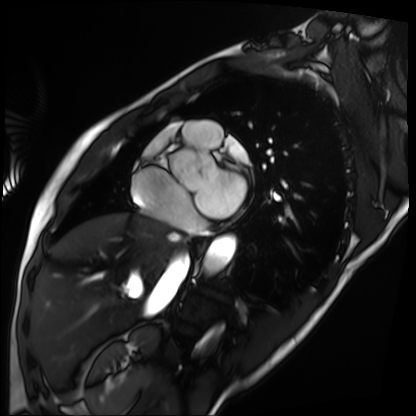
modality — cardiac MRI
subject group — patient